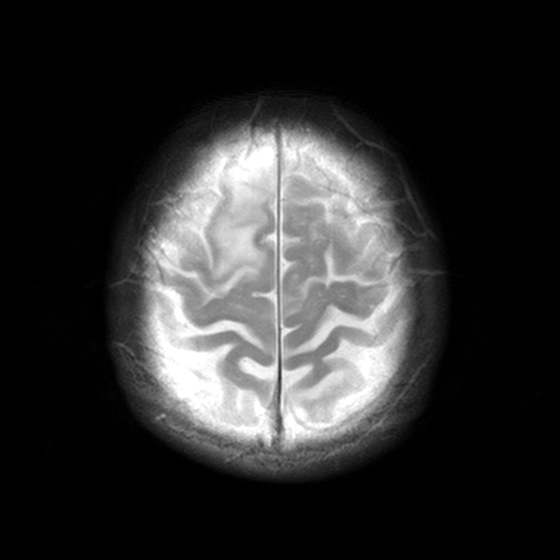
| field | value |
|---|---|
| modality | 3 Tesla brain MRI |
| study | ring-enhancing brain masses |